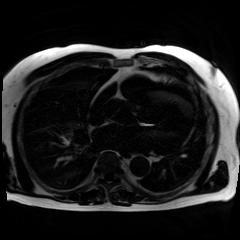
Summary:
Chemical-shift-encoded cardiac MRI.